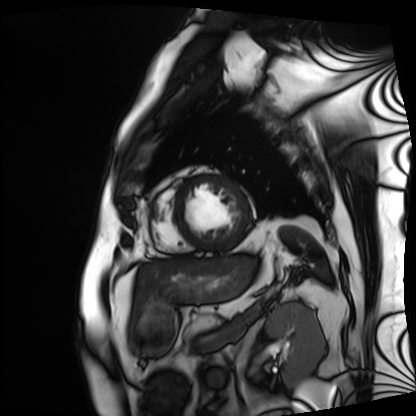
<record>
<modality>cardiac MRI</modality>
<cohort>patient</cohort>
</record>